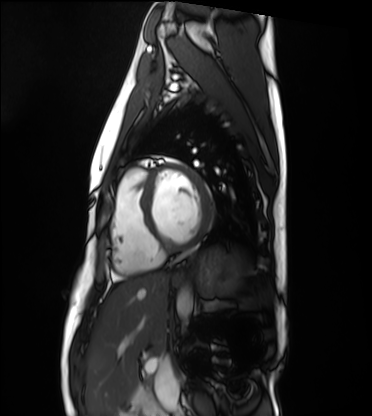
| field | value |
|---|---|
| modality | cardiac MRI |
| subject group | healthy volunteer |